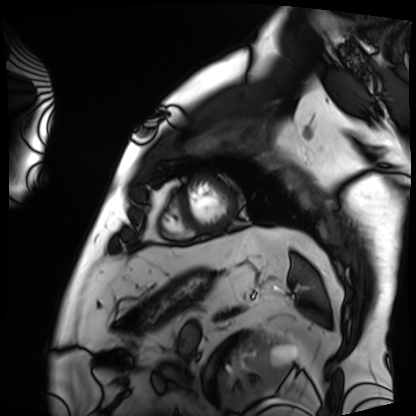
modality = cardiac MRI | subject group = patient.